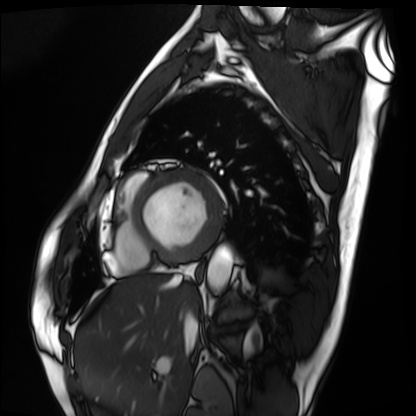
modality: cardiac MRI
cohort: patient